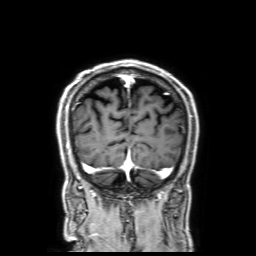
3 Tesla brain MRI.
Series: 3D T1-weighted with SENSE.
Study: ring-enhancing brain masses.